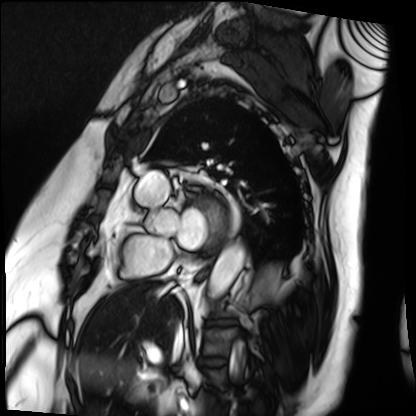
modality: cardiac MRI | subject group: patient.